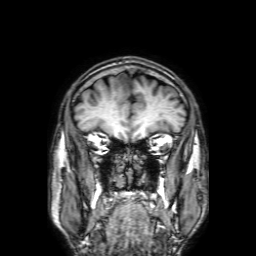
  modality:
    type: brain MRI
    field_strength: 3T
  series: 3D T1-weighted with SENSE
  study_topic: ring-enhancing brain masses